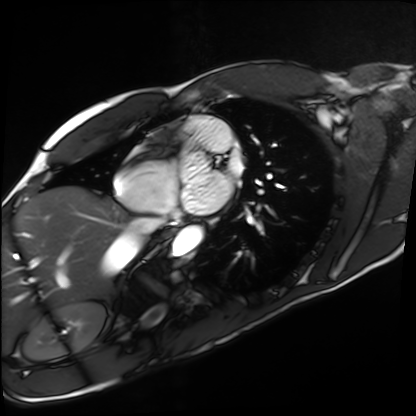
Q: What kind of scan is this?
A: Cardiac MRI.
Subject group: healthy volunteer.